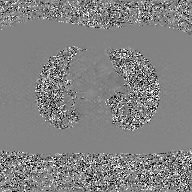
| field | value |
|---|---|
| modality | 2D phase-contrast cine MRI of the ascending aorta, GAN super-resolution reconstruction |